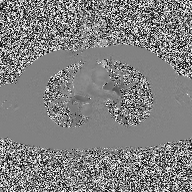
2D phase-contrast cine MRI of the ascending aorta, high-resolution GRAPPA acquisition.